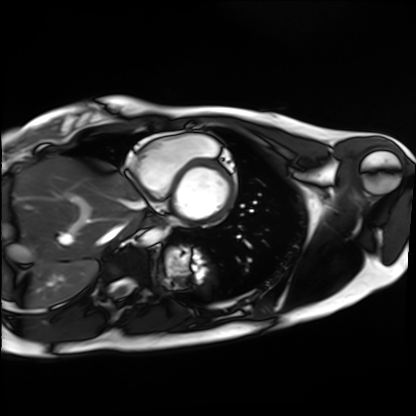
{
  "modality": "cardiac MRI",
  "cohort": "healthy volunteer"
}